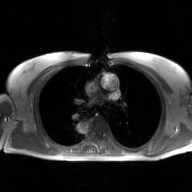
modality: 2D phase-contrast cine MRI of the ascending aorta, GAN super-resolution reconstruction